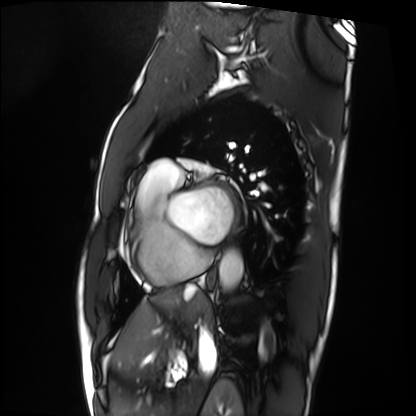
Cardiac MRI. Subject group: patient.